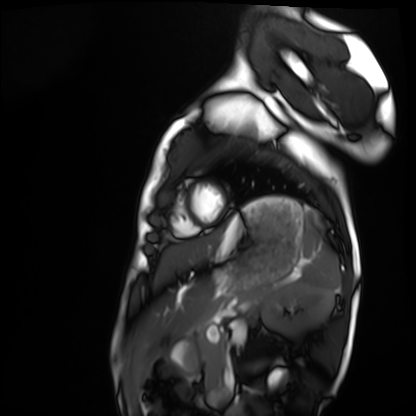
Q: What kind of scan is this?
A: Cardiac MRI.
Subject group: healthy volunteer.